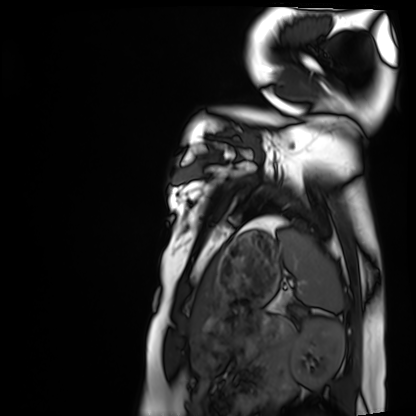
Case summary: Cardiac MRI. Subject group: healthy volunteer.